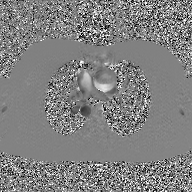
2D phase-contrast cine MRI of the ascending aorta, GAN super-resolution reconstruction.